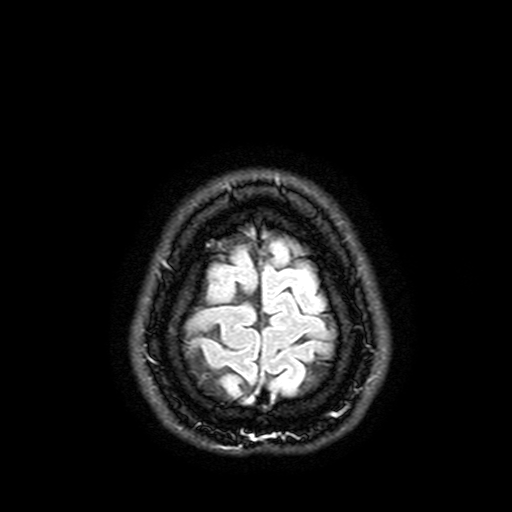
Q: What kind of scan is this?
A: 3 Tesla brain MRI.
Q: Series?
A: FLAIR with SPAIR, 3 mm.
Study: ring-enhancing brain masses.